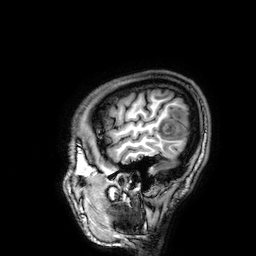
Q: What kind of scan is this?
A: 3 Tesla brain MRI.
Q: Series?
A: 3D T1-weighted.
Study: ring-enhancing brain masses.